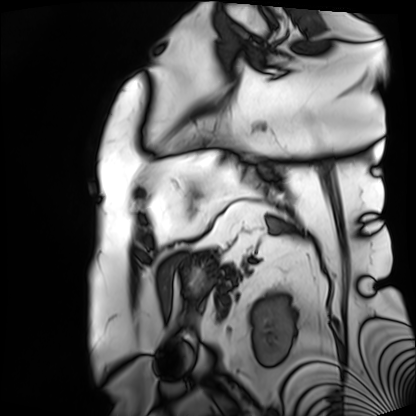
modality=cardiac MRI | subject group=patient.